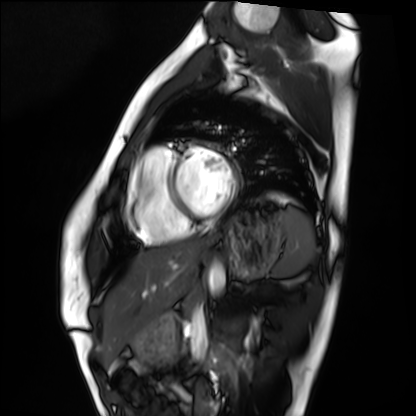
Cardiac MRI.
Subject group: healthy volunteer.